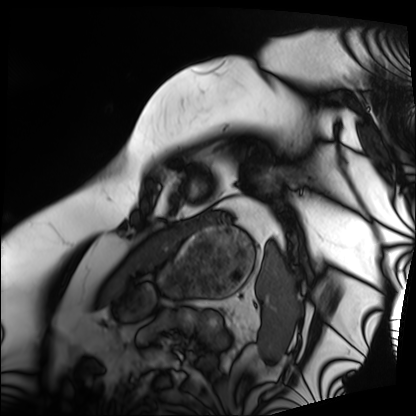
<scan>
<modality>cardiac MRI</modality>
<cohort>patient</cohort>
</scan>